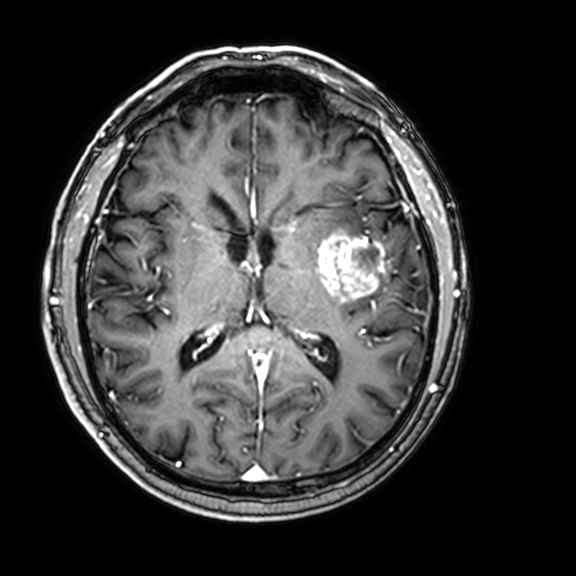
3 Tesla brain MRI.
Series: 3D T1-weighted with CLEAR.
Study: ring-enhancing brain masses.